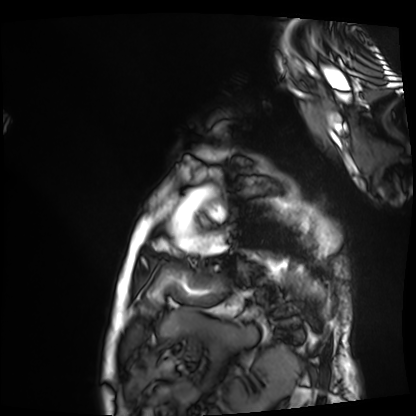
Cardiac MRI.
Subject group: patient.